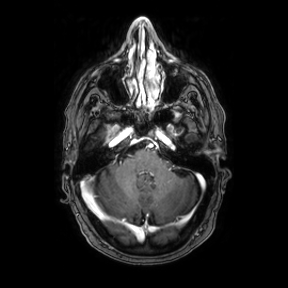
Case summary:
3 Tesla brain MRI. Series: axial. Study: ring-enhancing brain masses.